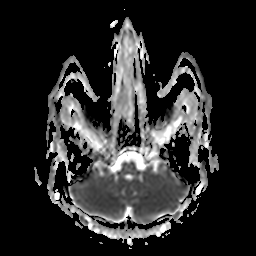
<study>
<modality>
  <type>brain MRI</type>
  <field_strength>3T</field_strength>
</modality>
<series>apparent diffusion coefficient (ADC) map</series>
<study_topic>ring-enhancing brain masses</study_topic>
</study>